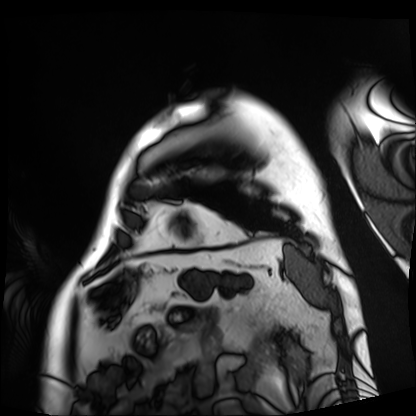
Case summary: Cardiac MRI. Subject group: patient.